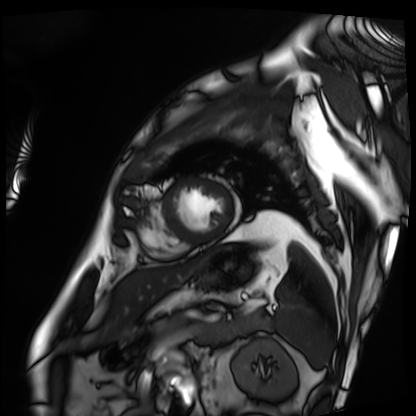
{"modality": "cardiac MRI", "cohort": "patient"}